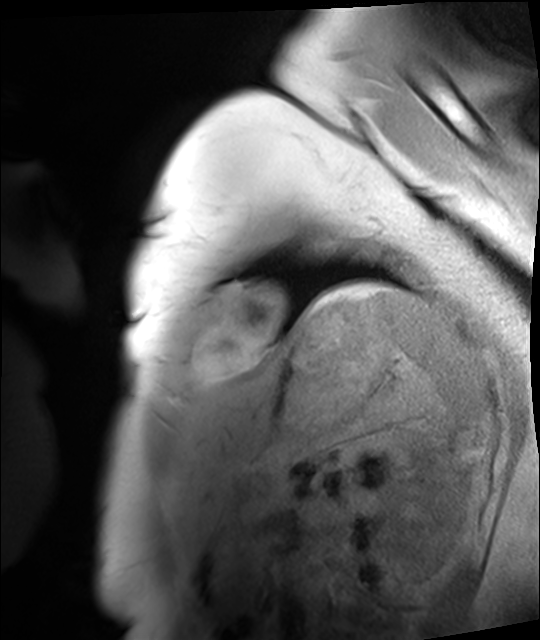
Case:
- modality — cardiac MRI
- subject group — healthy volunteer